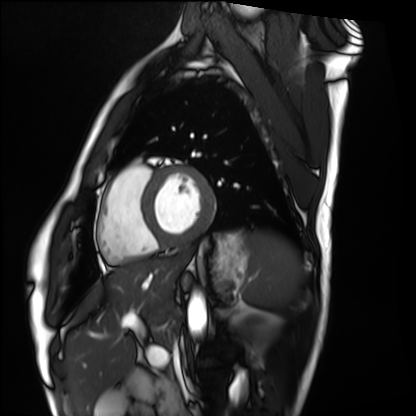
– modality: cardiac MRI
– subject group: healthy volunteer